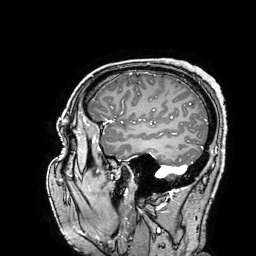
3 Tesla brain MRI. Series: 3D T1-weighted turbo field echo with SENSE. Study: ring-enhancing brain masses.